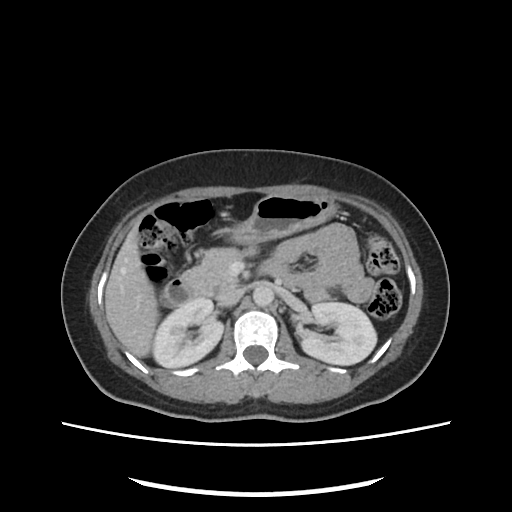
Multiphase abdominal CT, liver, portal venous phase. Patient: female, age 42.